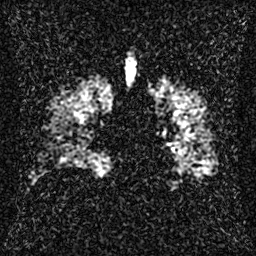
| field | value |
|---|---|
| modality | hyperpolarized 129Xe ventilation MRI of the lungs |